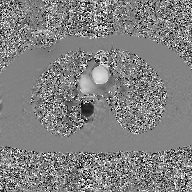
2D phase-contrast cine MRI of the ascending aorta, GAN super-resolution reconstruction.